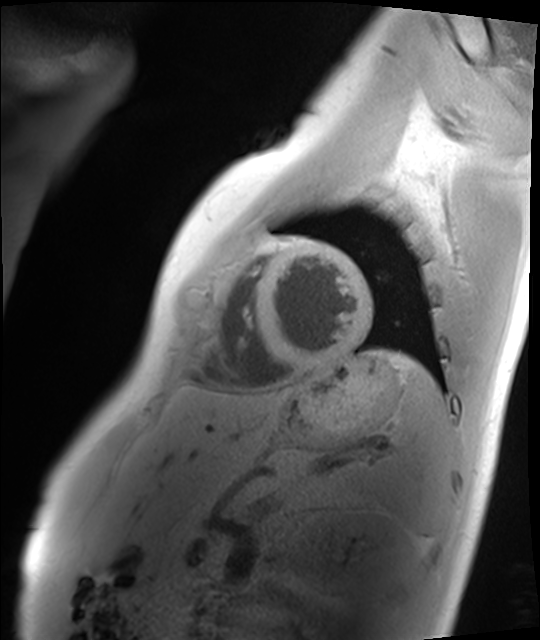
Clinical context: Cardiac MRI. Subject group: healthy volunteer.